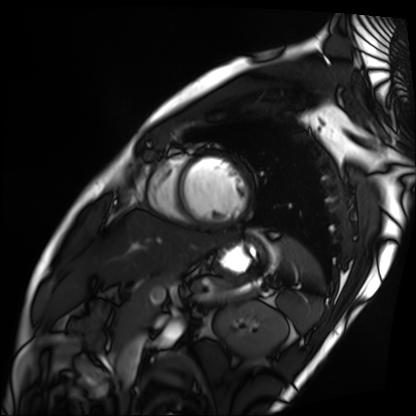
modality: cardiac MRI
subject group: patient